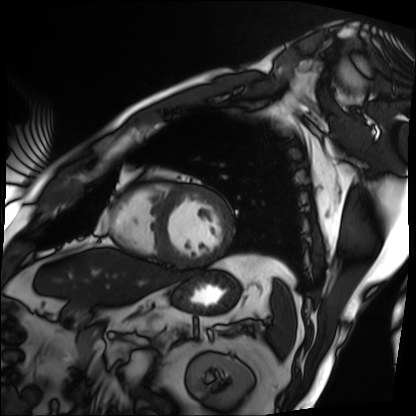
- modality — cardiac MRI
- subject group — patient